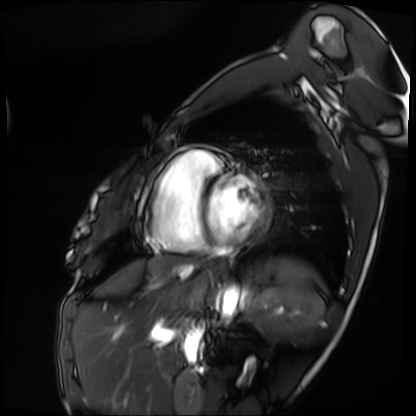
• modality — cardiac MRI
• subject group — patient